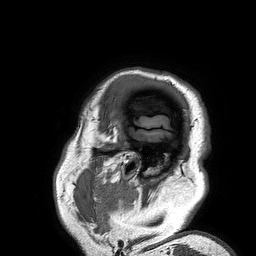
3 Tesla brain MRI.
Series: 3D T1-weighted turbo field echo.
Study: ring-enhancing brain masses.